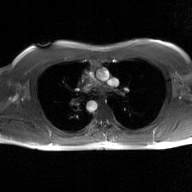
2D phase-contrast cine MRI of the ascending aorta, GAN super-resolution reconstruction.